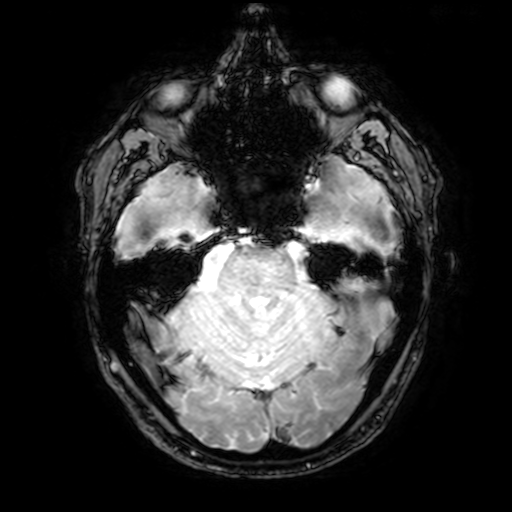
Summary: 3 Tesla brain MRI. Series: T2-weighted fast field echo with SENSE. Study: ring-enhancing brain masses.